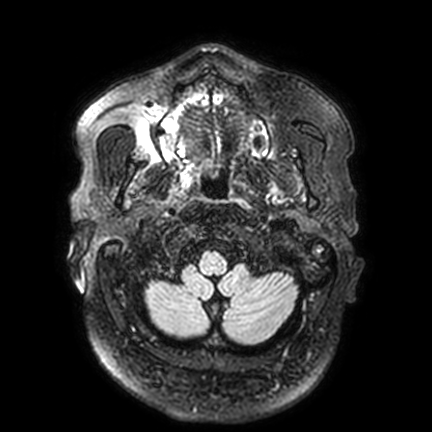
{
  "modality": {
    "type": "brain MRI",
    "field_strength": "3T"
  },
  "series": "FLAIR VISTA with SENSE",
  "study_topic": "ring-enhancing brain masses"
}